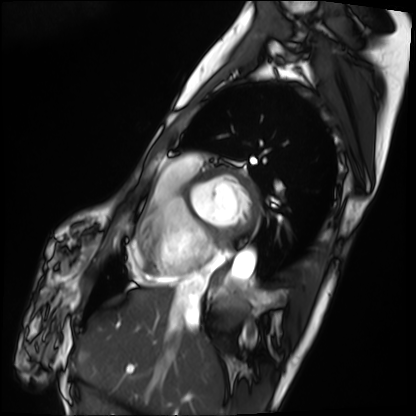
Case summary: Cardiac MRI. Subject group: patient.